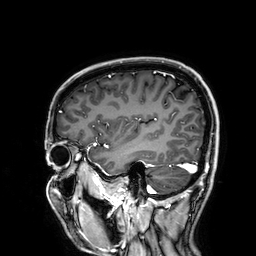
Case:
• modality — 3 Tesla brain MRI
• series — 3D T1-weighted
• study — ring-enhancing brain masses